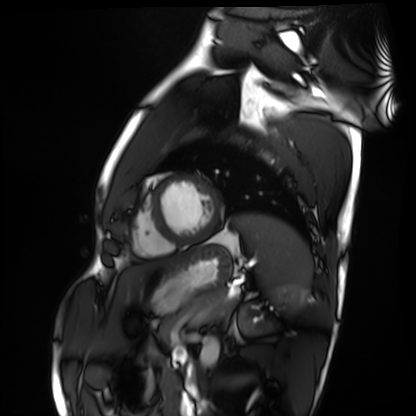
Summary:
Cardiac MRI. Subject group: healthy volunteer.